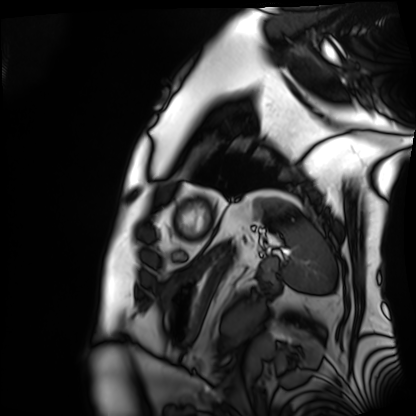
Q: What kind of scan is this?
A: Cardiac MRI.
Subject group: patient.